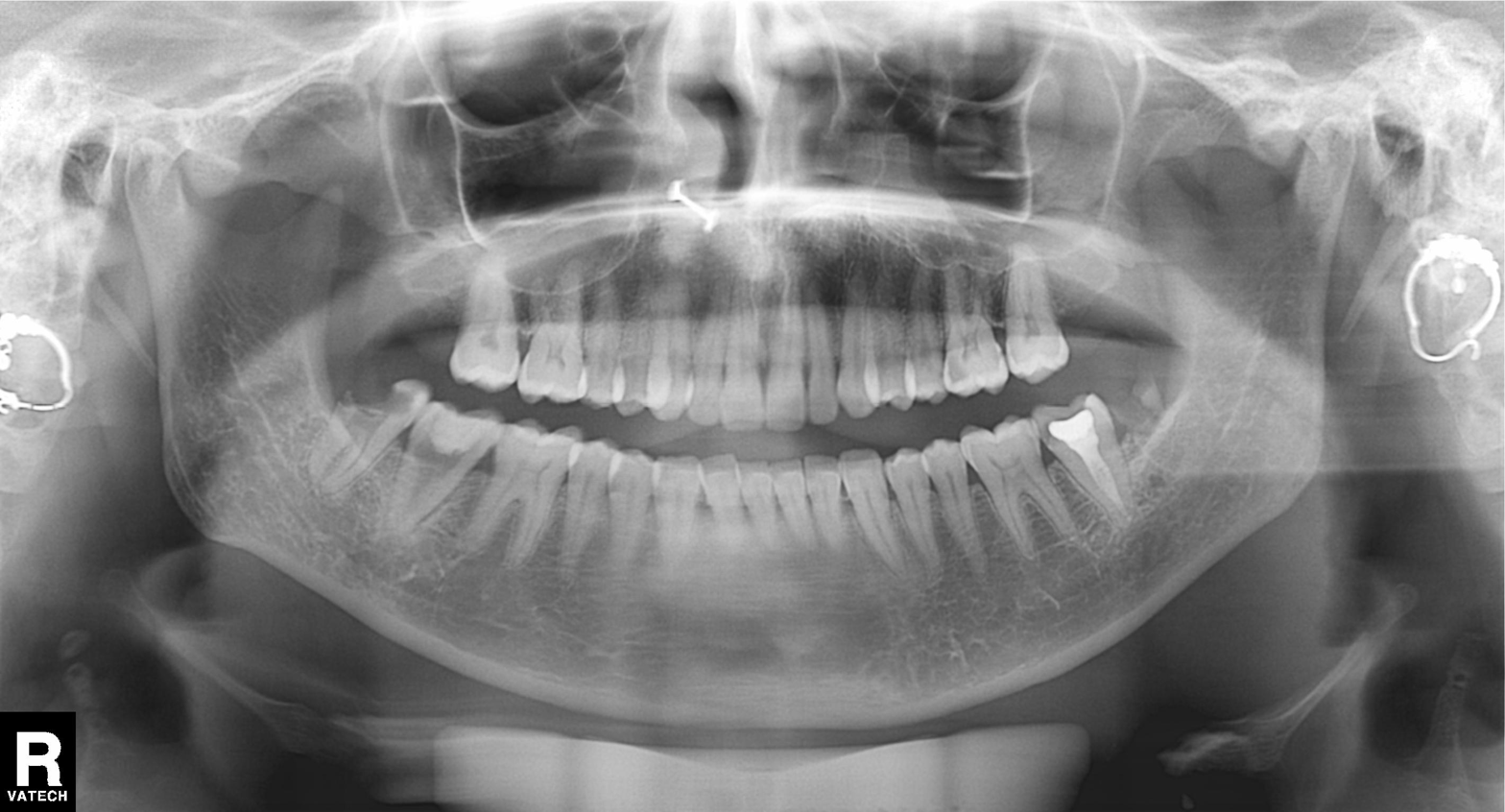
modality = panoramic dental radiograph (orthopantomogram), finding = alveolar bone loss.